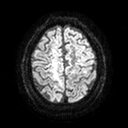
3 Tesla brain MRI.
Series: diffusion tensor imaging (medium iso).
Study: ring-enhancing brain masses.